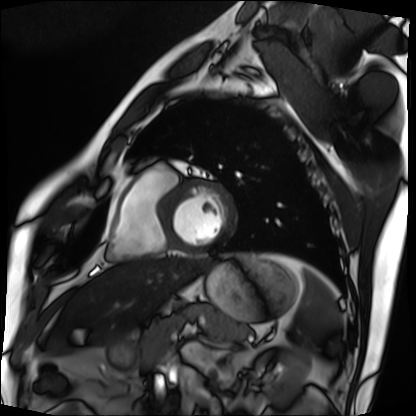
- modality · cardiac MRI
- subject group · patient